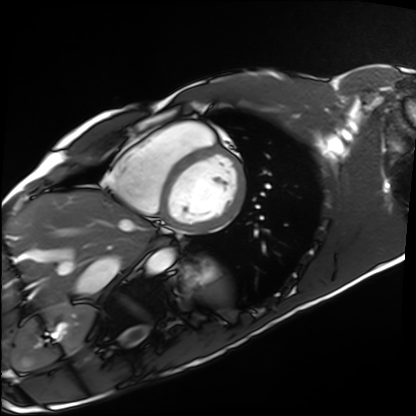
Cardiac MRI. Subject group: healthy volunteer.